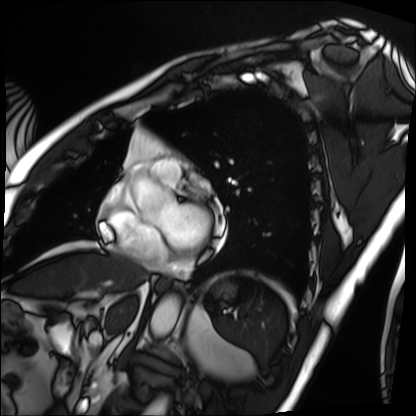
Cardiac MRI.
Subject group: patient.